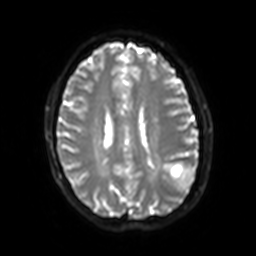
3 Tesla brain MRI.
Series: diffusion-weighted imaging with SENSE (WIP).
Study: ring-enhancing brain masses.